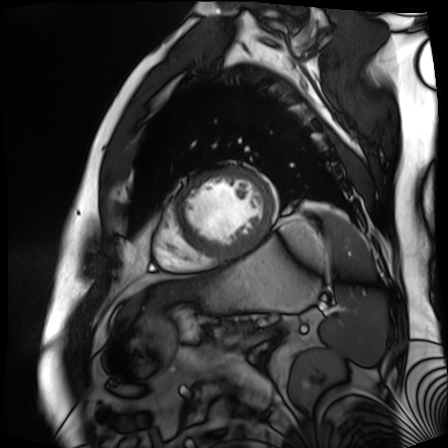
Cardiac MR image of the myocardium.
Subject cohort: cardiac patient.